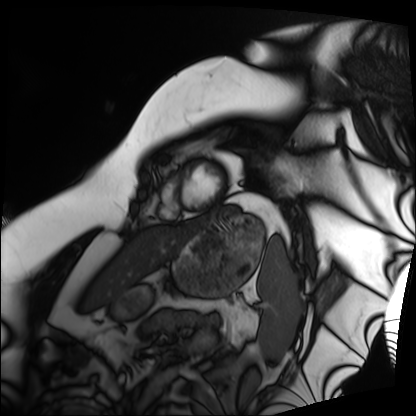
  modality: cardiac MRI
  cohort: patient